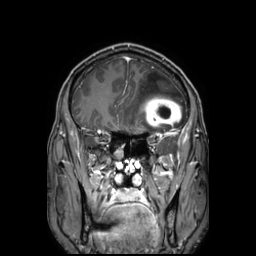
Summary:
3 Tesla brain MRI. Series: 3D T1-weighted TFE with SENSE. Study: ring-enhancing brain masses.